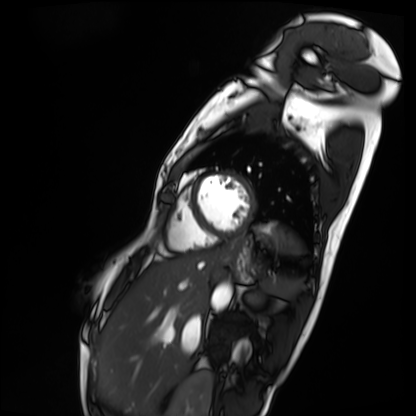
modality: cardiac MRI
cohort: patient